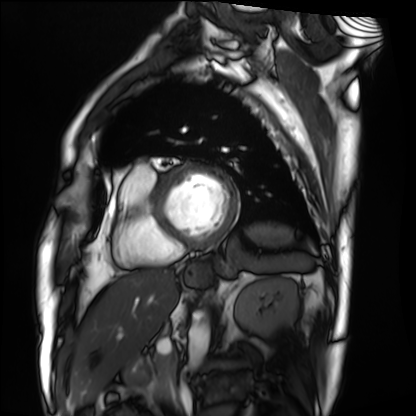
Summary:
Cardiac MRI. Subject group: patient.